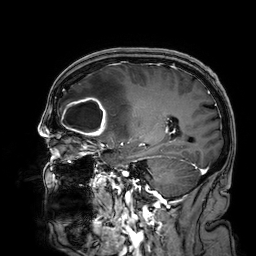
3 Tesla brain MRI. Series: 3D T1-weighted. Study: ring-enhancing brain masses.